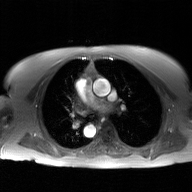
2D phase-contrast cine MRI of the ascending aorta, GAN super-resolution reconstruction.